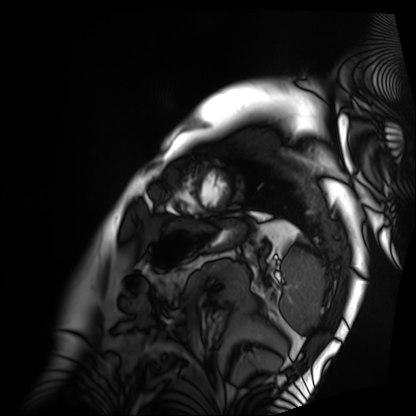
Case summary:
Cardiac MRI. Subject group: patient.